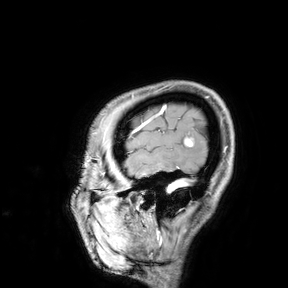
modality:
  type: brain MRI
  field_strength: 3T
study_topic: ring-enhancing brain masses